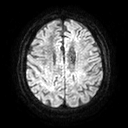
modality = 3 Tesla brain MRI | series = diffusion tensor imaging (medium iso) | study = ring-enhancing brain masses.